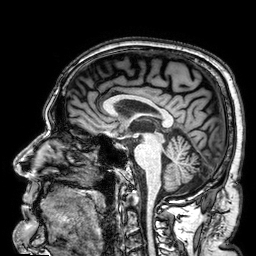
modality=3 Tesla brain MRI
series=3D T1-weighted
study=ring-enhancing brain masses